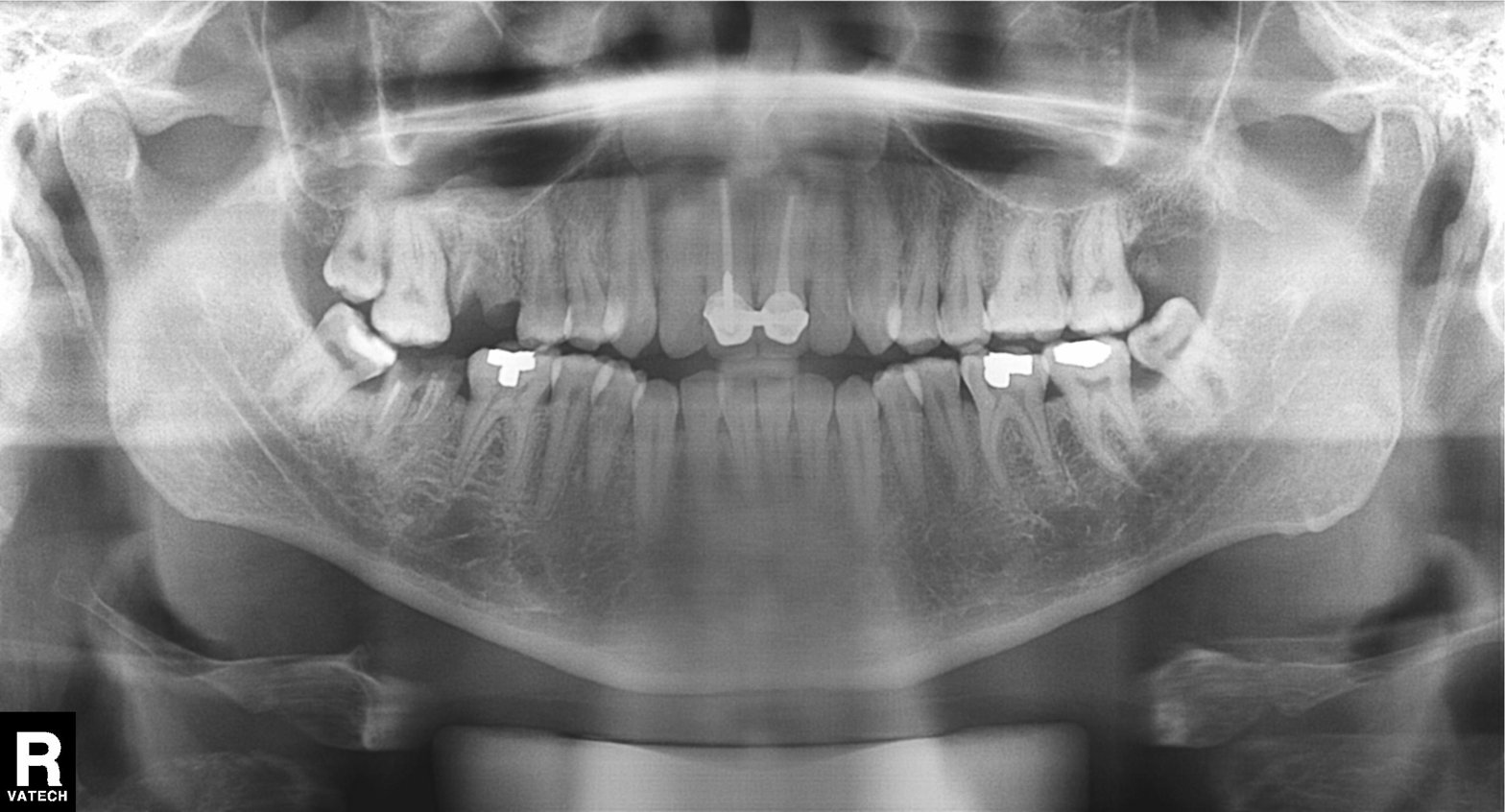
Summary:
Panoramic dental radiograph (orthopantomogram).
Assessment:
Alveolar bone loss.